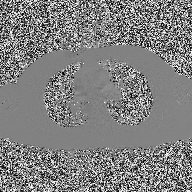
<case>
  <modality>
    <type>2D phase-contrast cine MRI</type>
    <region>ascending aorta</region>
    <reconstruction>high-resolution GRAPPA acquisition</reconstruction>
  </modality>
</case>